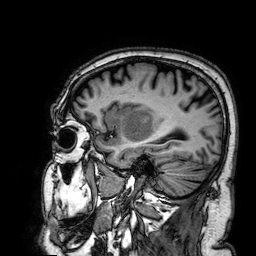
modality=3 Tesla brain MRI | series=3D T1-weighted | study=ring-enhancing brain masses.